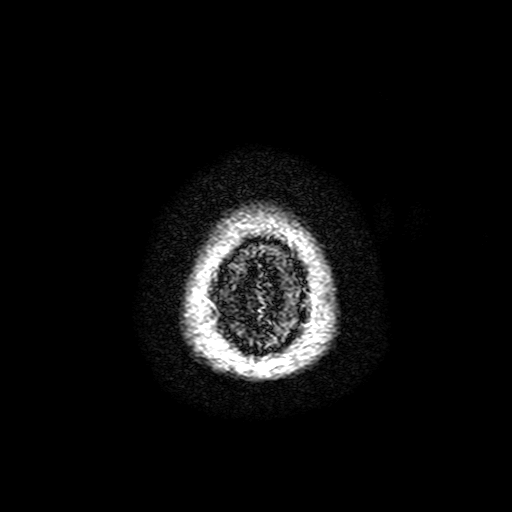
modality: 3 Tesla brain MRI | series: FLAIR with SPAIR, 3 mm | study: ring-enhancing brain masses.